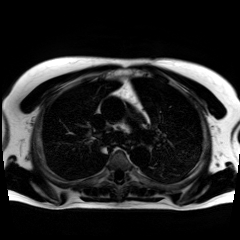
modality: chemical-shift-encoded cardiac MRI